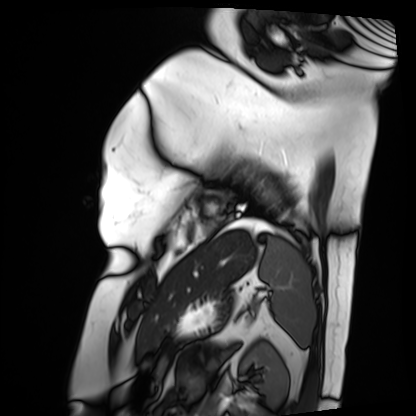
Cardiac MRI. Subject group: patient.